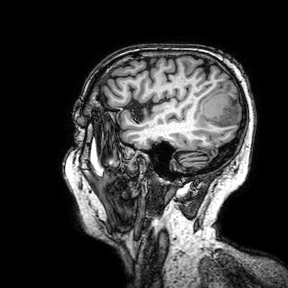
– modality — 3 Tesla brain MRI
– study — ring-enhancing brain masses